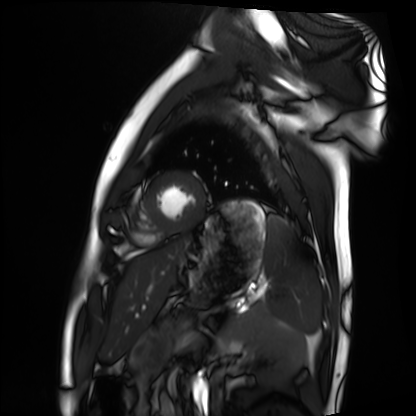
Q: What kind of scan is this?
A: Cardiac MRI.
Subject group: healthy volunteer.